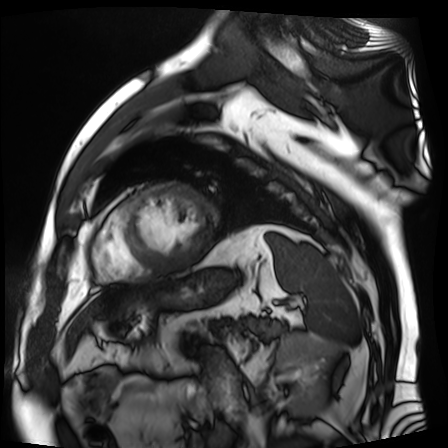
Summary:
Cardiac MR image of the myocardium. Subject cohort: cardiac patient.